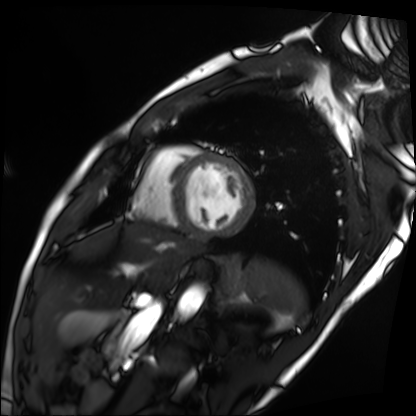
Clinical context: Cardiac MRI. Subject group: patient.